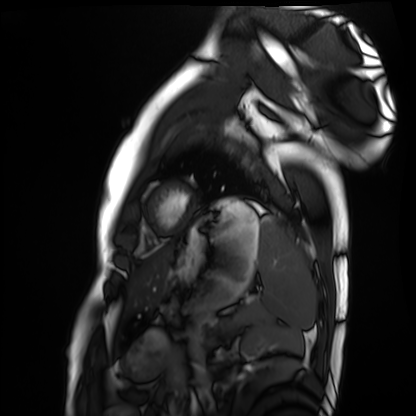
modality: cardiac MRI
subject group: healthy volunteer